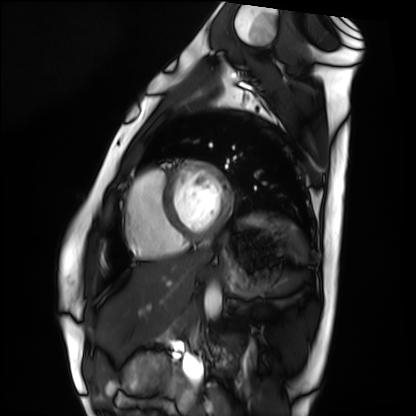
Cardiac MRI.
Subject group: healthy volunteer.